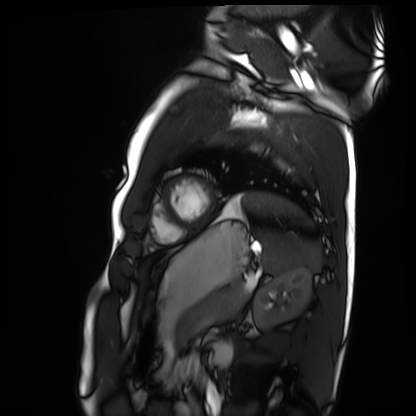
modality: cardiac MRI
subject group: healthy volunteer